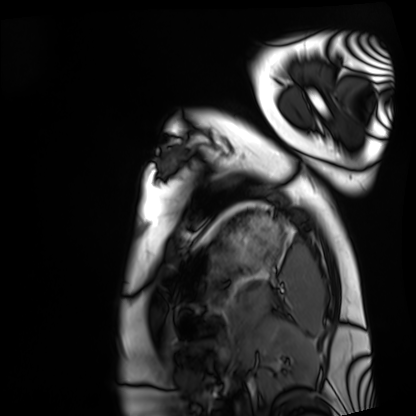
Cardiac MRI. Subject group: healthy volunteer.